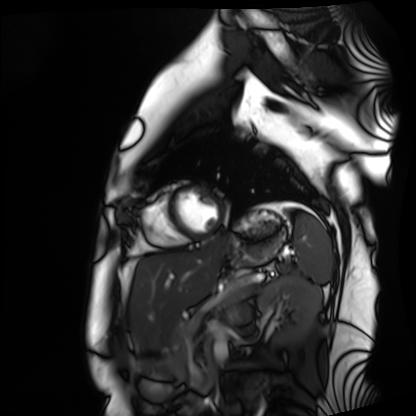
| field | value |
|---|---|
| modality | cardiac MRI |
| subject group | healthy volunteer |